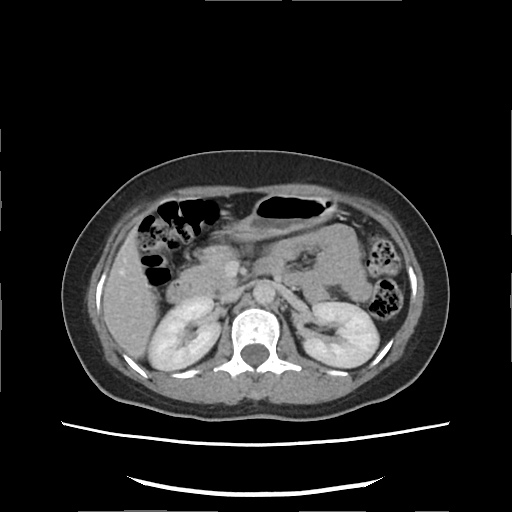
Q: What kind of scan is this?
A: Multiphase abdominal CT, liver, delayed phase.
Q: Patient?
A: Female, age 42.